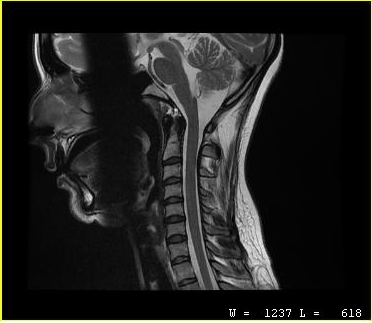
* modality — MRI of the cervical spine
* study — cervical spondylosis